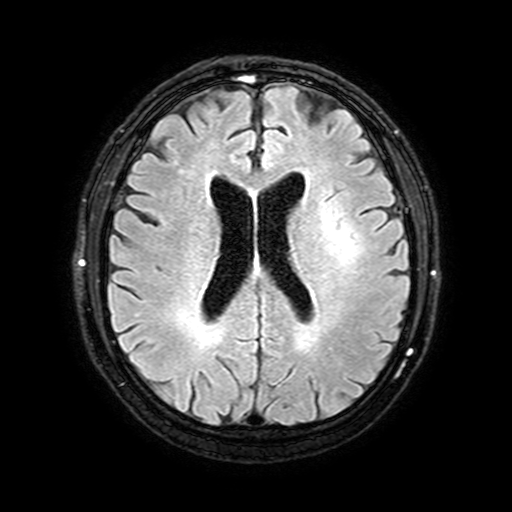
modality:
  type: brain MRI
  field_strength: 3T
series: FLAIR with SPAIR, 3 mm
study_topic: ring-enhancing brain masses